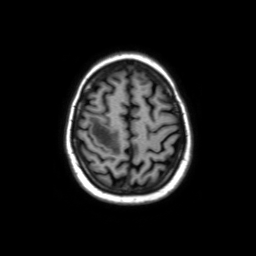
Clinical context: 3 Tesla brain MRI. Series: axial without contrast. Study: ring-enhancing brain masses.